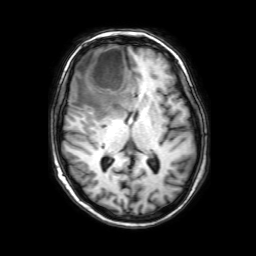
• modality — 3 Tesla brain MRI
• series — 3D T1-weighted with SENSE
• study — ring-enhancing brain masses